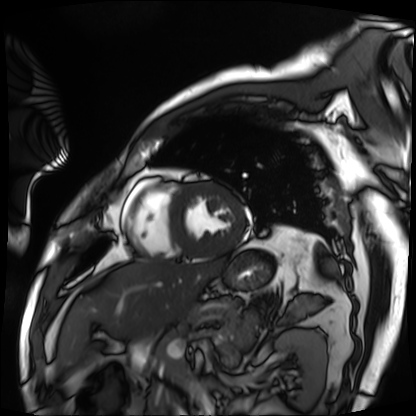
Cardiac MRI. Subject group: patient.